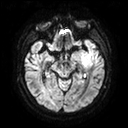
modality=3 Tesla brain MRI
series=diffusion tensor imaging (medium iso)
study=ring-enhancing brain masses